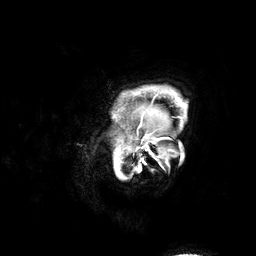
Summary:
3 Tesla brain MRI. Series: 3D T1-weighted. Study: ring-enhancing brain masses.